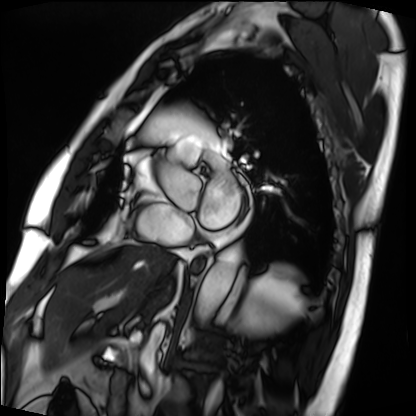
modality: cardiac MRI
subject group: patient